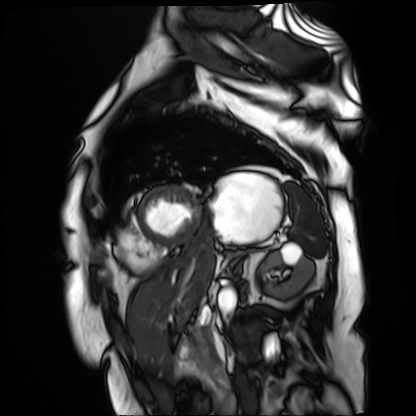
Summary: Cardiac MR image of the myocardium. Subject cohort: cardiac patient.